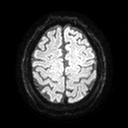
Q: What kind of scan is this?
A: 3 Tesla brain MRI.
Q: Series?
A: Diffusion tensor imaging (medium iso).
Study: ring-enhancing brain masses.